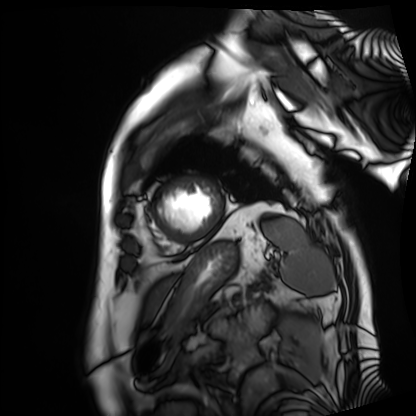
| field | value |
|---|---|
| modality | cardiac MRI |
| subject group | patient |